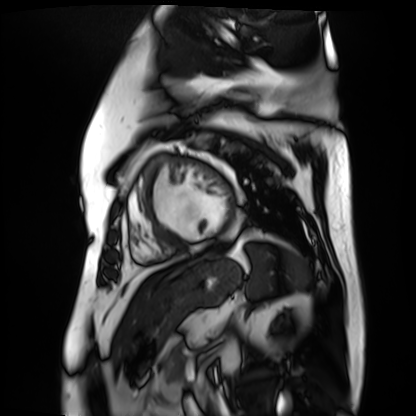
Cardiac MR image of the myocardium. Subject cohort: cardiac patient.